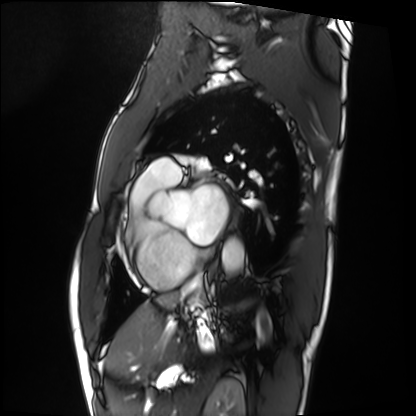
Clinical context:
Cardiac MRI. Subject group: patient.